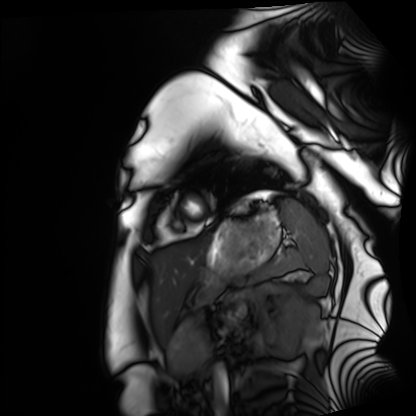
{
  "modality": "cardiac MRI",
  "cohort": "healthy volunteer"
}